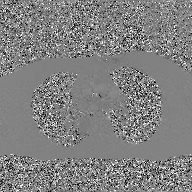
modality = 2D phase-contrast cine MRI of the ascending aorta, GAN super-resolution reconstruction.